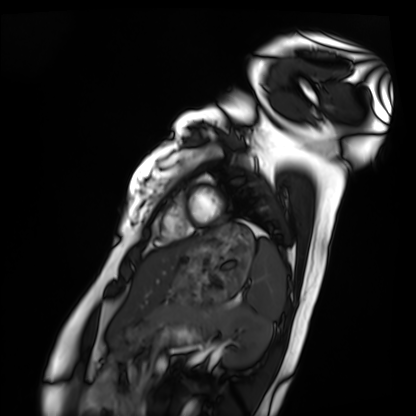
Summary:
Cardiac MRI. Subject group: healthy volunteer.